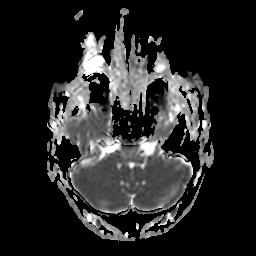
- modality · 3 Tesla brain MRI
- study · ring-enhancing brain masses